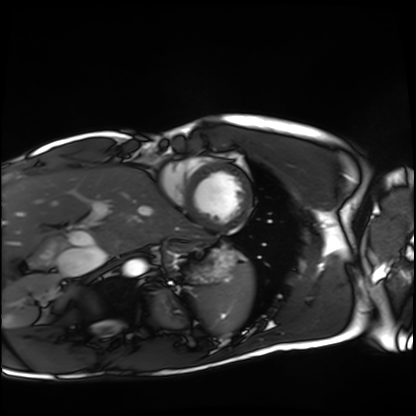
modality = cardiac MRI | subject group = healthy volunteer.